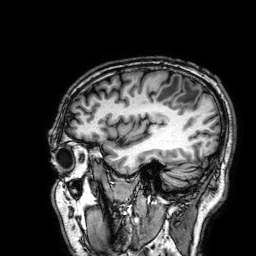
Summary: 3 Tesla brain MRI. Series: 3D T1-weighted. Study: ring-enhancing brain masses.